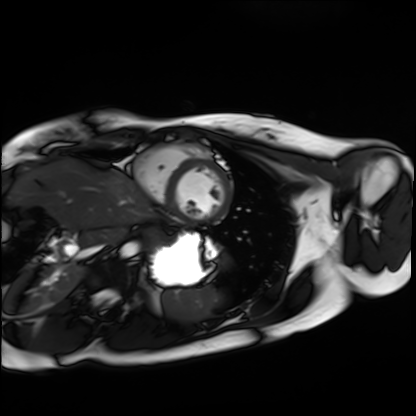
modality: cardiac MRI
subject group: healthy volunteer